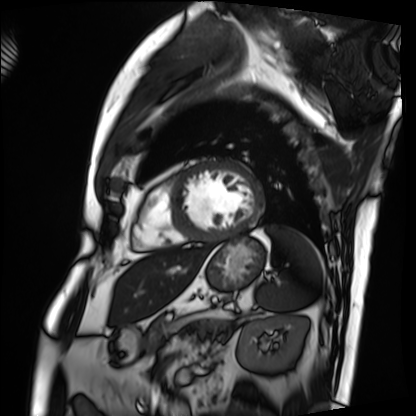
Case:
• modality · cardiac MRI
• subject group · patient